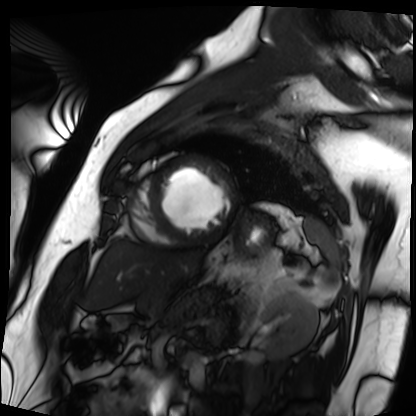
Cardiac MRI.
Subject group: patient.